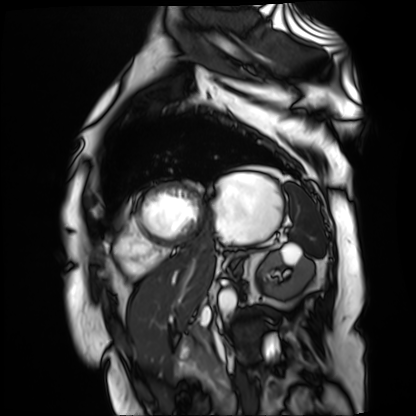
Cardiac MR image of the myocardium.
Subject cohort: cardiac patient.